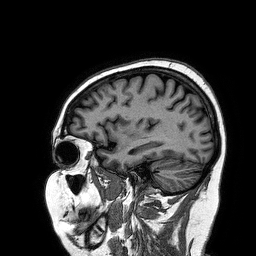
Summary:
3 Tesla brain MRI. Series: 3D T1-weighted turbo field echo. Study: ring-enhancing brain masses.